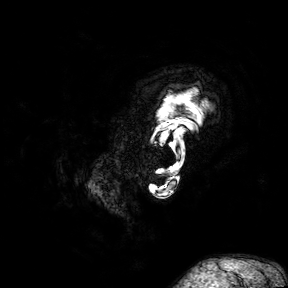
3 Tesla brain MRI. Study: ring-enhancing brain masses.